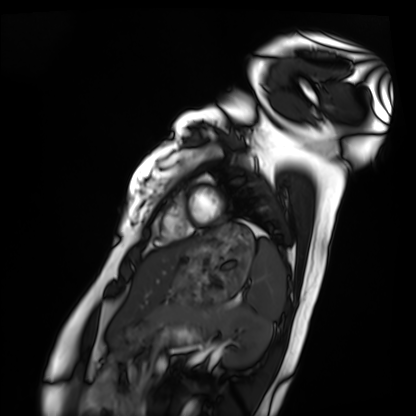
Case:
* modality · cardiac MRI
* subject group · healthy volunteer